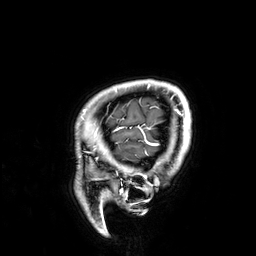
3 Tesla brain MRI.
Series: 3D T1-weighted.
Study: ring-enhancing brain masses.